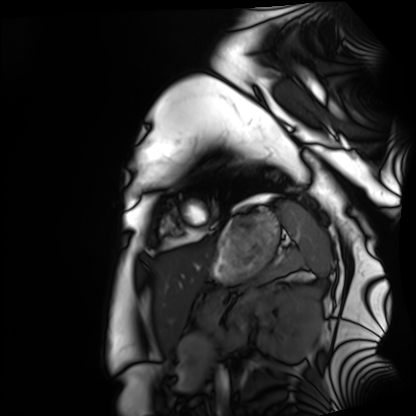
modality: cardiac MRI, subject group: healthy volunteer.